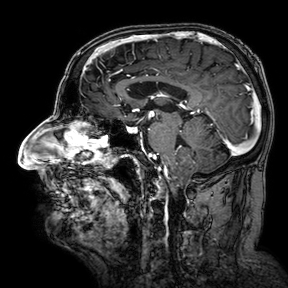
Case:
- modality — 3 Tesla brain MRI
- series — 3D T1-weighted turbo field echo with SENSE
- study — ring-enhancing brain masses